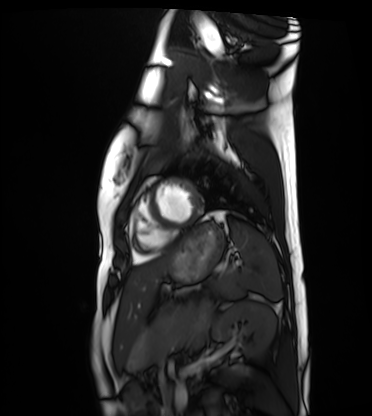
Cardiac MRI. Subject group: healthy volunteer.